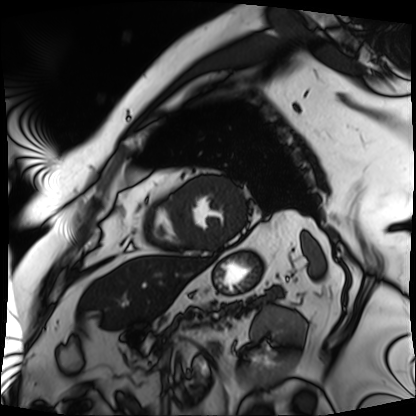
Cardiac MRI. Subject group: patient.